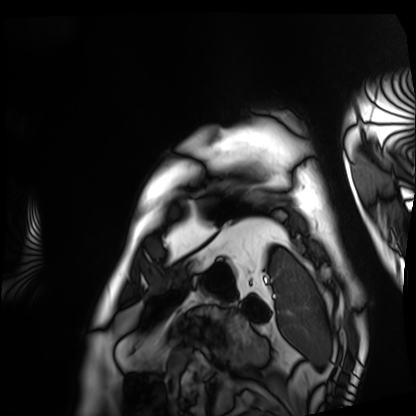
Cardiac MRI.
Subject group: patient.